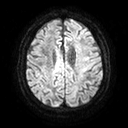
- modality · 3 Tesla brain MRI
- series · diffusion tensor imaging (medium iso)
- study · ring-enhancing brain masses